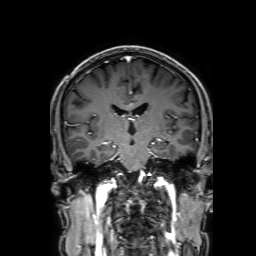
Clinical context: 3 Tesla brain MRI. Study: ring-enhancing brain masses.